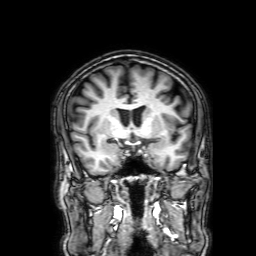
modality=3 Tesla brain MRI | series=3D T1-weighted with SENSE | study=ring-enhancing brain masses.